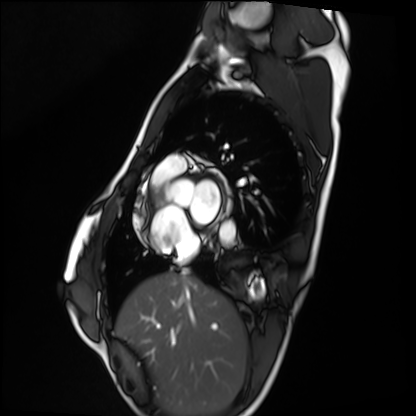
Q: What kind of scan is this?
A: Cardiac MRI.
Subject group: healthy volunteer.